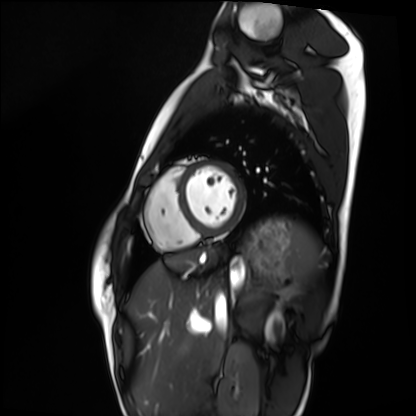
Cardiac MRI. Subject group: healthy volunteer.